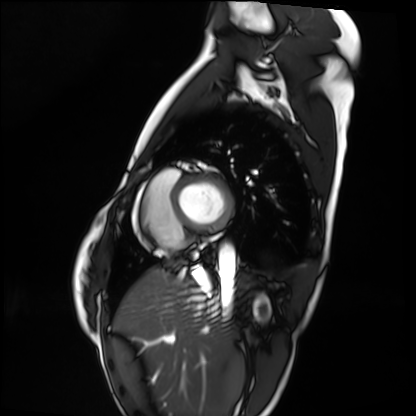
Cardiac MRI.
Subject group: healthy volunteer.